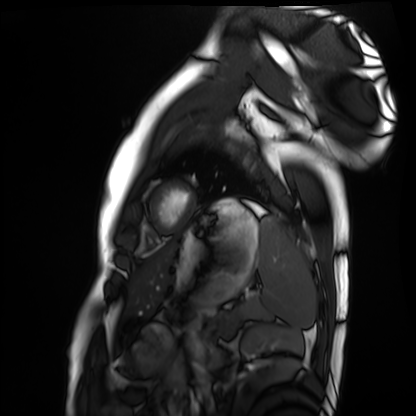
Case:
• modality: cardiac MRI
• subject group: healthy volunteer